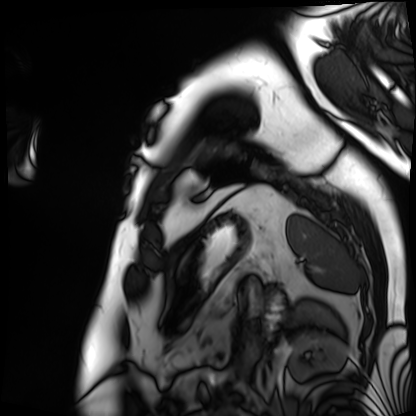
| field | value |
|---|---|
| modality | cardiac MRI |
| subject group | patient |